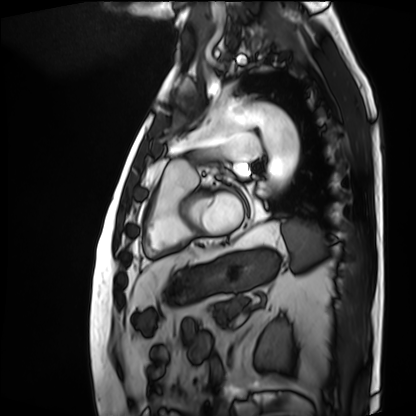
Case summary:
Cardiac MRI. Subject group: patient.